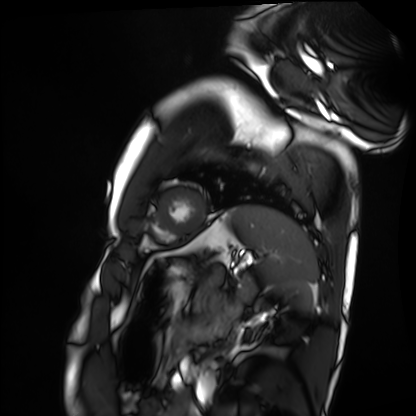
Cardiac MRI. Subject group: healthy volunteer.